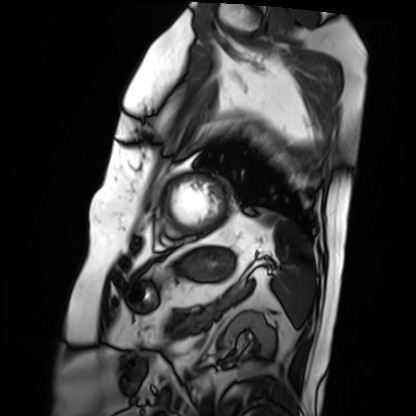
Cardiac MRI. Subject group: patient.